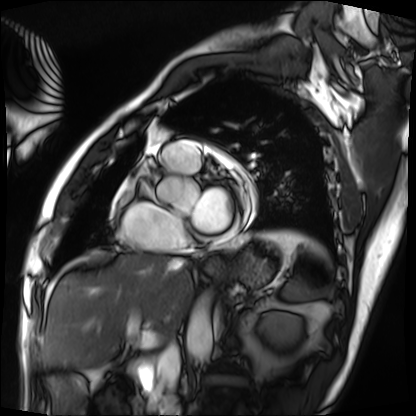
  modality: cardiac MRI
  cohort: patient